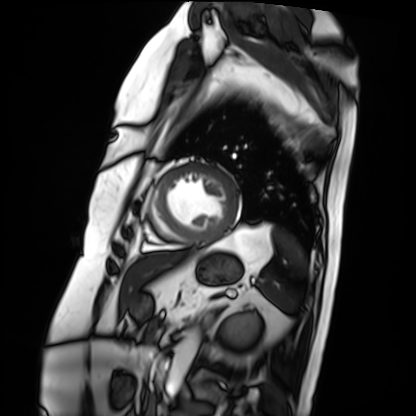
modality=cardiac MRI | subject group=patient.